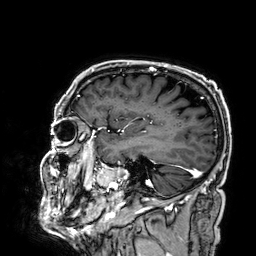
Clinical context: 3 Tesla brain MRI. Series: 3D T1-weighted. Study: ring-enhancing brain masses.